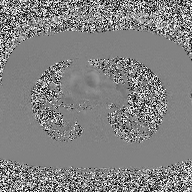
Summary: 2D phase-contrast cine MRI of the ascending aorta, high-resolution GRAPPA acquisition.